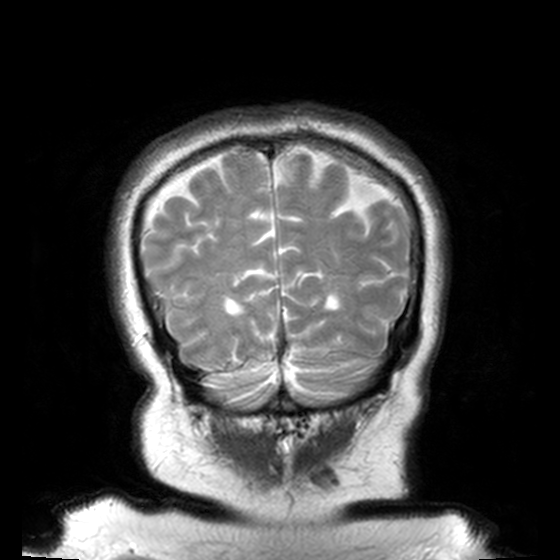
{"modality": {"type": "brain MRI", "field_strength": "3T"}, "series": "T2-weighted turbo spin echo, 3 mm", "study_topic": "ring-enhancing brain masses"}